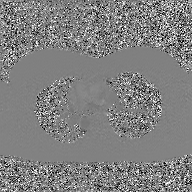
modality:
  type: 2D phase-contrast cine MRI
  region: ascending aorta
  reconstruction: GAN super-resolution reconstruction